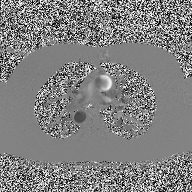
modality=2D phase-contrast cine MRI of the ascending aorta.